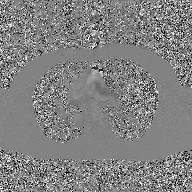
modality=2D phase-contrast cine MRI of the ascending aorta, GAN super-resolution reconstruction.